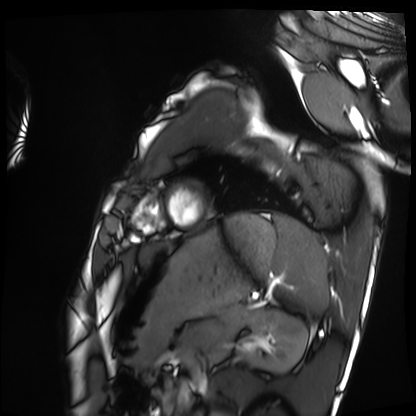
| field | value |
|---|---|
| modality | cardiac MRI |
| subject group | healthy volunteer |